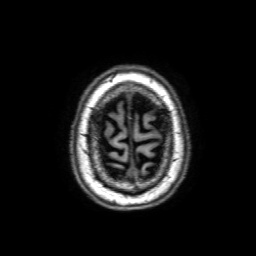
modality=3 Tesla brain MRI
series=3D T1-weighted with SENSE
study=ring-enhancing brain masses